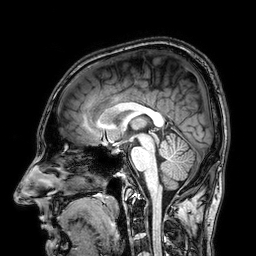
modality: 3 Tesla brain MRI | series: 3D T1-weighted | study: ring-enhancing brain masses.